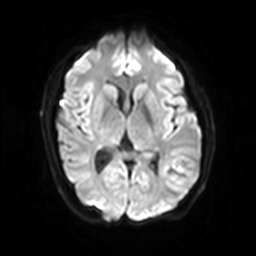
Clinical context:
3 Tesla brain MRI. Series: diffusion-weighted imaging with SENSE (WIP). Study: ring-enhancing brain masses.